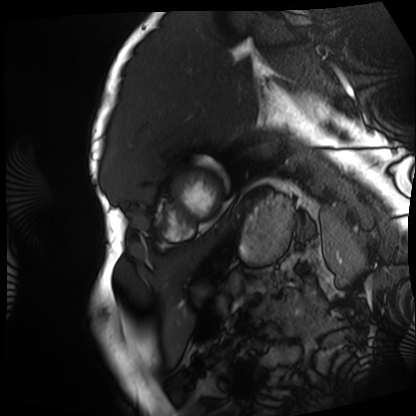
Cardiac MRI.
Subject group: patient.